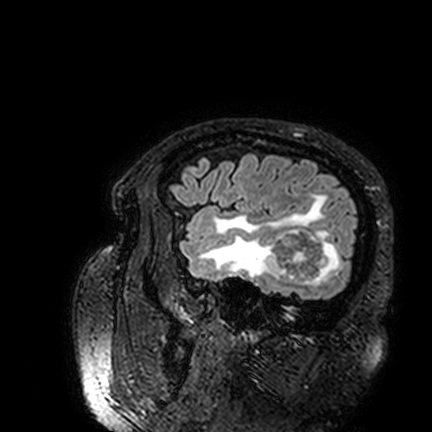
Q: What kind of scan is this?
A: 3 Tesla brain MRI.
Q: Series?
A: FLAIR VISTA.
Study: ring-enhancing brain masses.